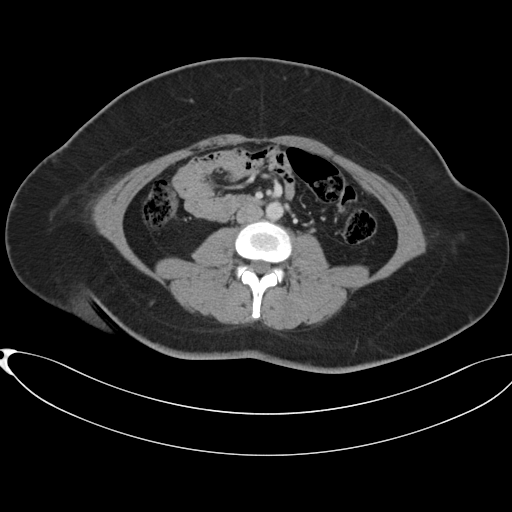
– modality · multiphase abdominal CT, liver, portal venous phase
– patient · female, age 37
– history · prior chemotherapy